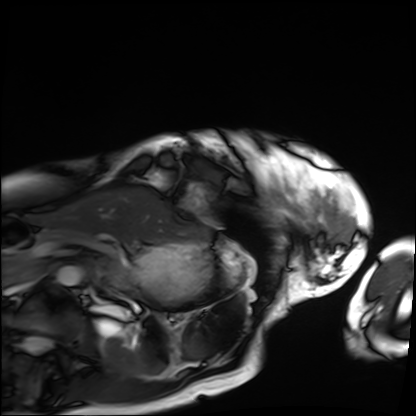
Summary: Cardiac MRI. Subject group: patient.